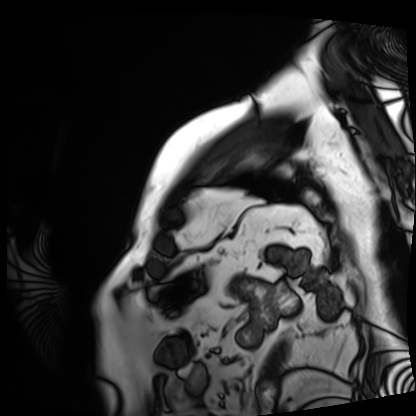
Summary: Cardiac MRI. Subject group: patient.